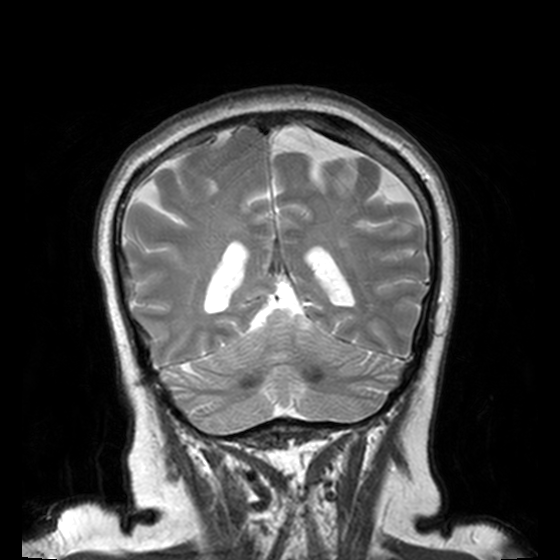
Summary: 3 Tesla brain MRI. Series: T2-weighted turbo spin echo, 3 mm. Study: ring-enhancing brain masses.